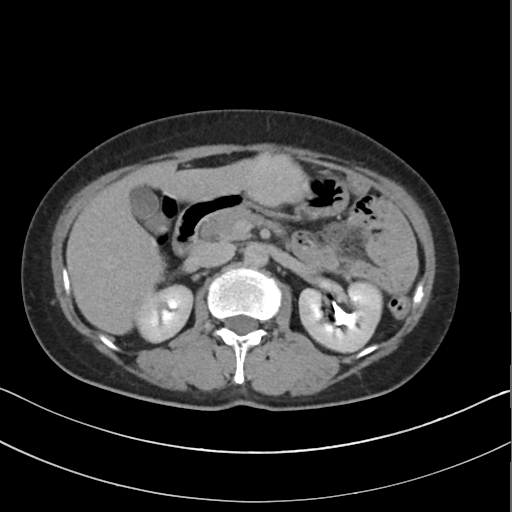
modality: multiphase abdominal CT, liver, delayed phase | patient: female, age 56.